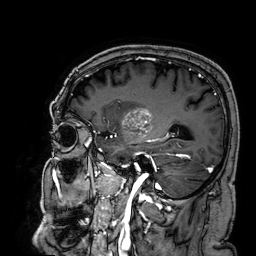
Case:
* modality: 3 Tesla brain MRI
* series: 3D T1-weighted
* study: ring-enhancing brain masses